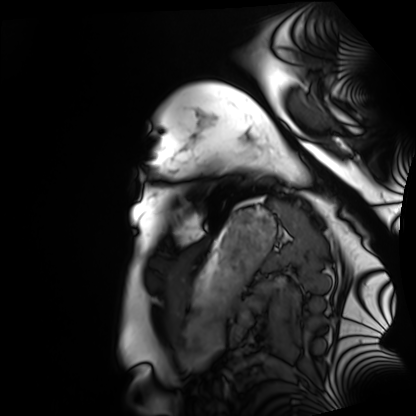
| field | value |
|---|---|
| modality | cardiac MRI |
| subject group | healthy volunteer |